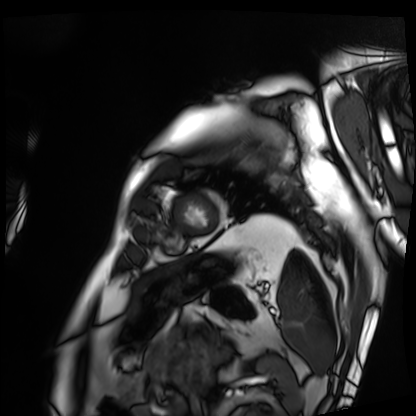
Summary: Cardiac MRI. Subject group: patient.